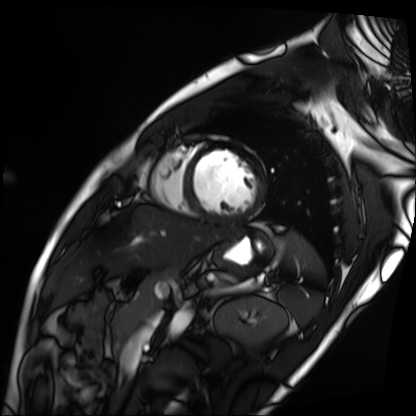
{
  "modality": "cardiac MRI",
  "cohort": "patient"
}